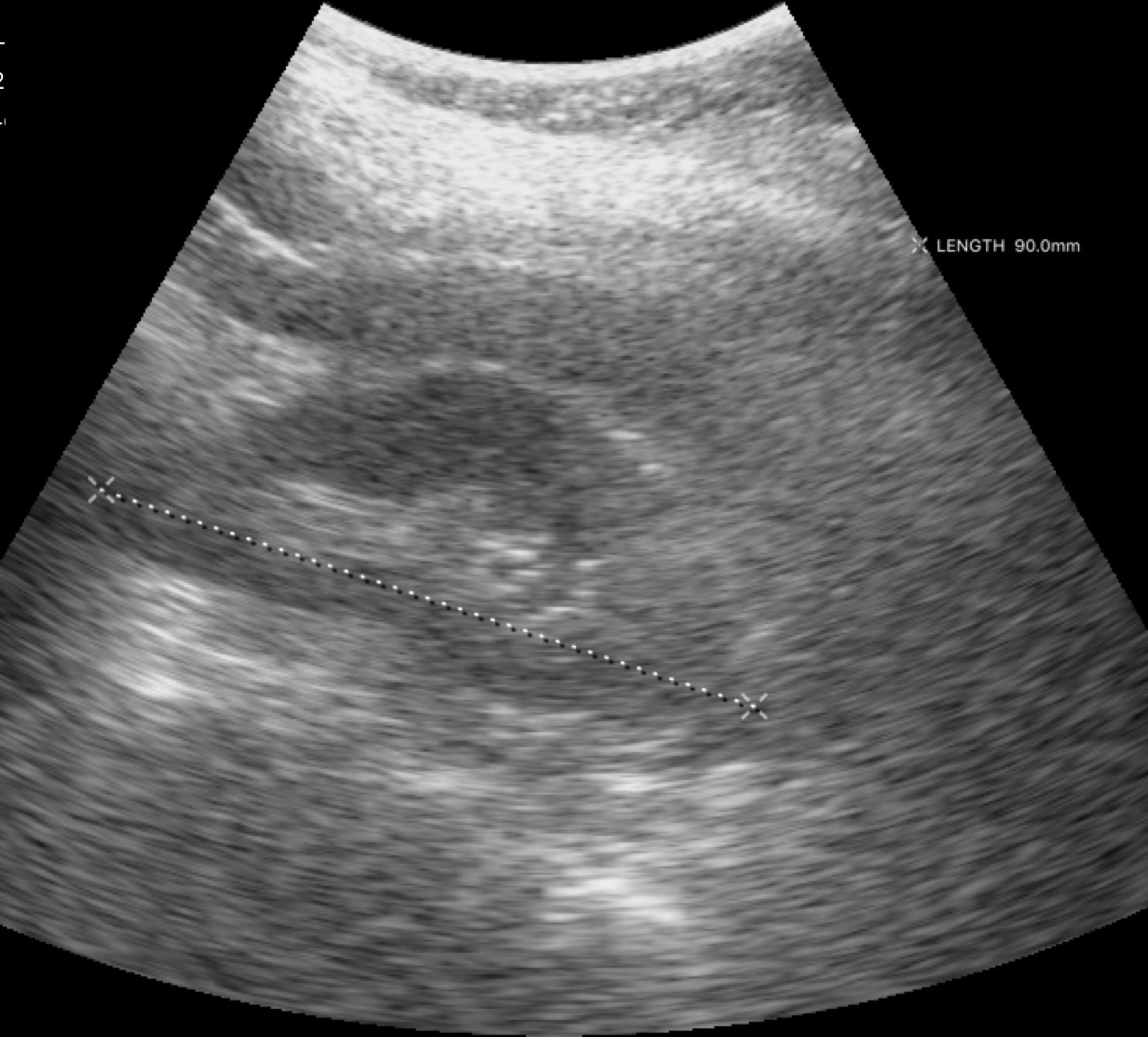
Genitourinary ultrasound.